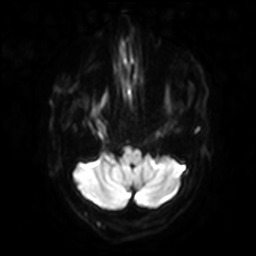
modality = 3 Tesla brain MRI | series = diffusion-weighted imaging with SENSE (WIP) | study = ring-enhancing brain masses.